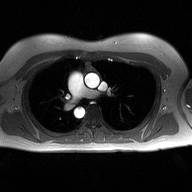
2D phase-contrast cine MRI of the ascending aorta, high-resolution GRAPPA acquisition.